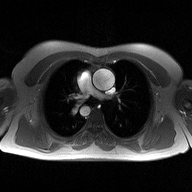
Q: What kind of scan is this?
A: 2D phase-contrast cine MRI of the ascending aorta.